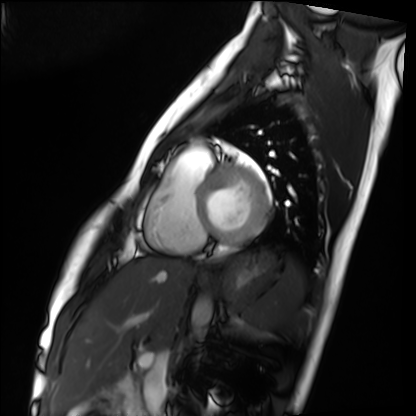
Q: What kind of scan is this?
A: Cardiac MRI.
Subject group: healthy volunteer.